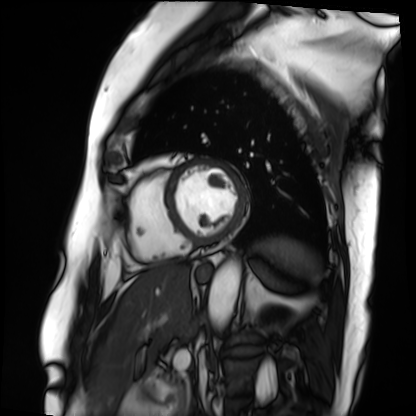
  modality: cardiac MRI
  cohort: patient